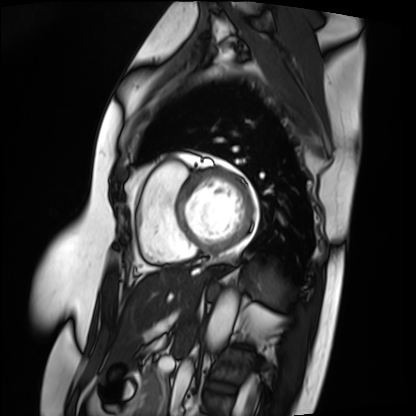
modality=cardiac MRI; subject group=patient.